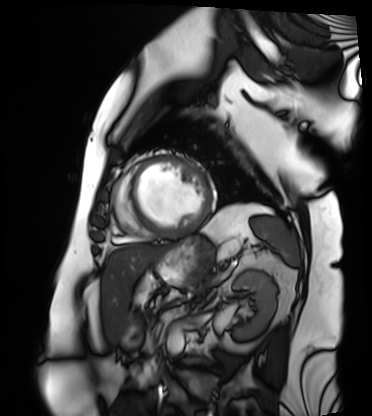
Q: What kind of scan is this?
A: Cardiac MRI.
Subject group: patient.